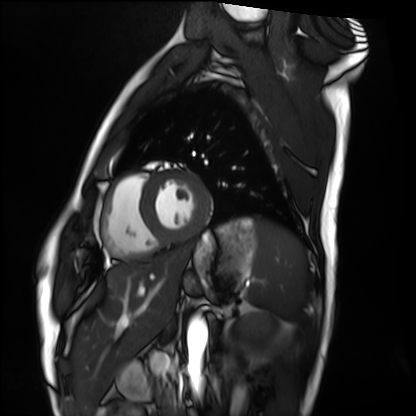
Cardiac MRI.
Subject group: healthy volunteer.